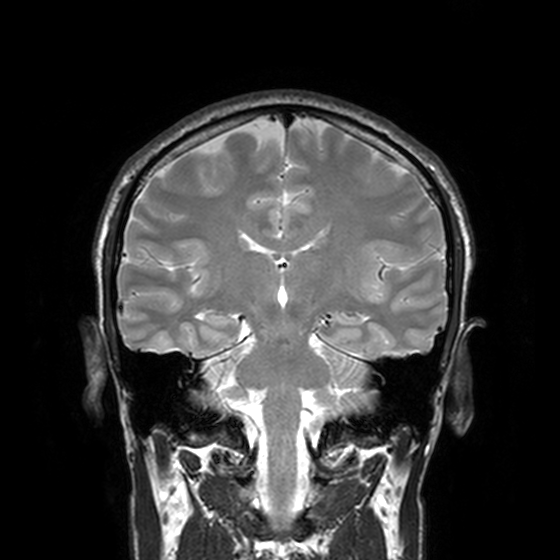
– modality: 3 Tesla brain MRI
– series: T2-weighted turbo spin echo, 3 mm
– study: ring-enhancing brain masses